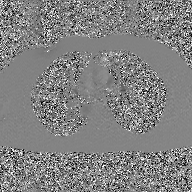
Case:
• modality — 2D phase-contrast cine MRI of the ascending aorta, GAN super-resolution reconstruction